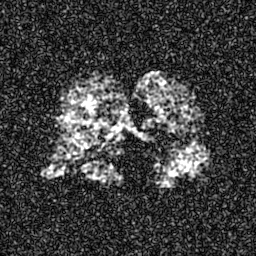
Hyperpolarized 129Xe ventilation MRI of the lungs.
SNR level 7 of 8 (the deposit holds this scan as its native image and as seven SNR-degraded versions).